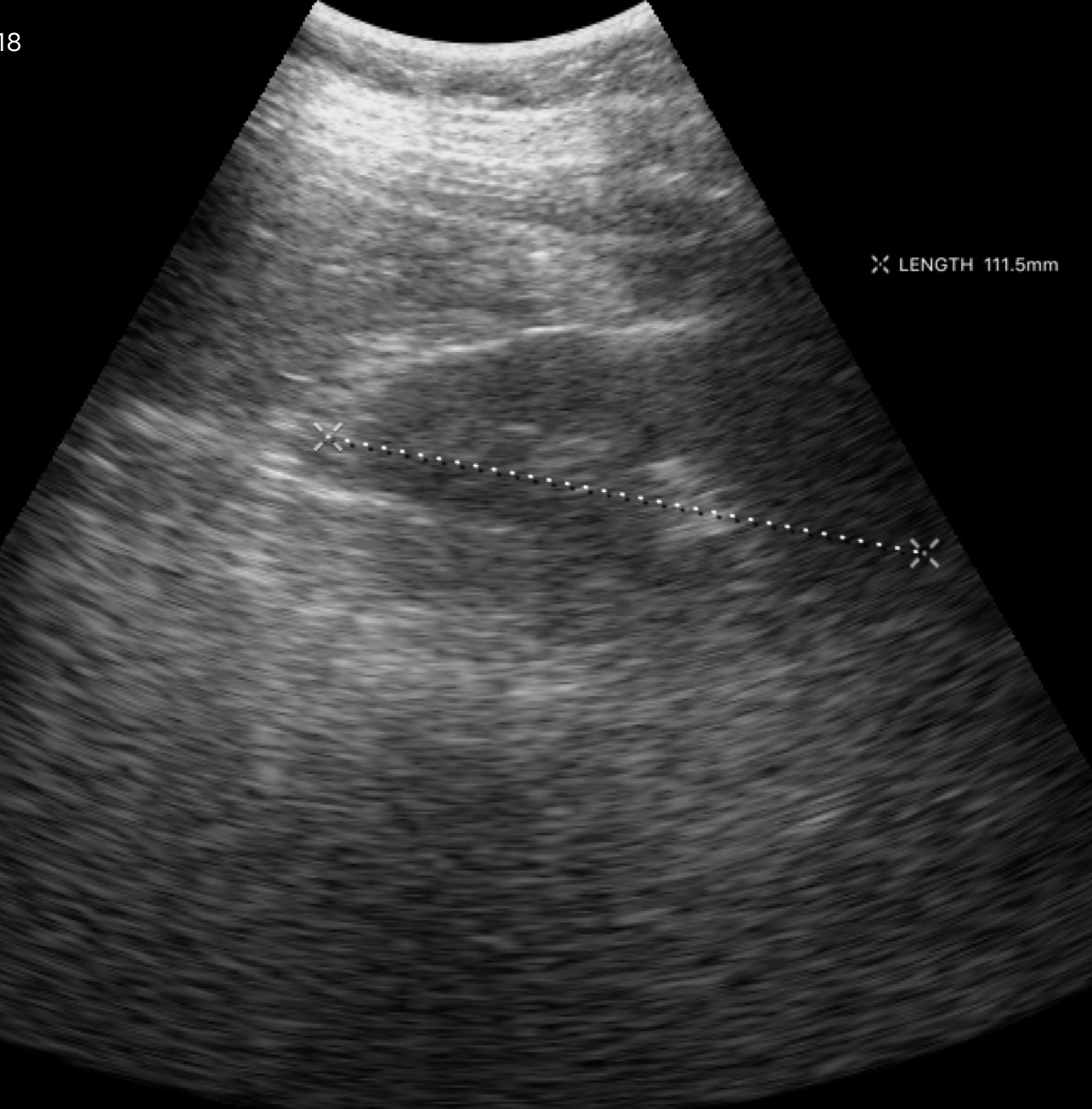
{"modality": {"type": "genitourinary ultrasound"}}